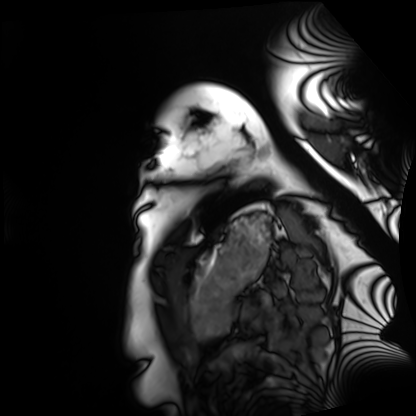
| field | value |
|---|---|
| modality | cardiac MRI |
| subject group | healthy volunteer |